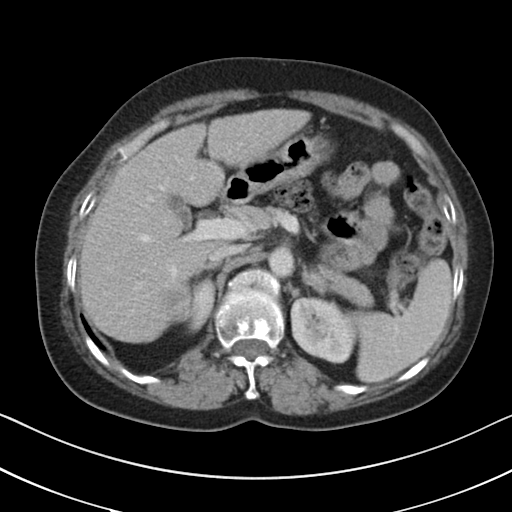
Summary:
Multiphase abdominal CT, liver, portal venous phase. Patient: female, age 58. History: cirrhosis, viral hepatitis.